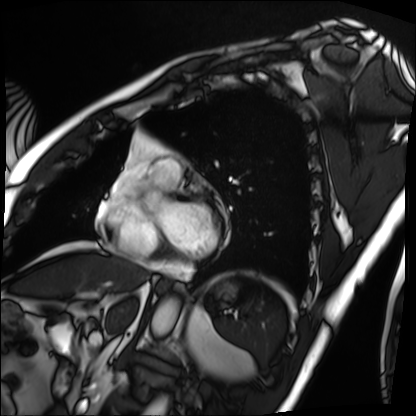
  modality: cardiac MRI
  cohort: patient